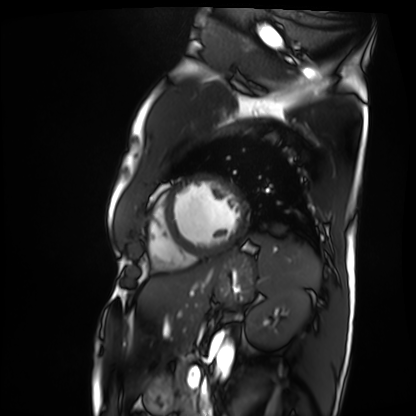
Case:
* modality · cardiac MRI
* subject group · patient